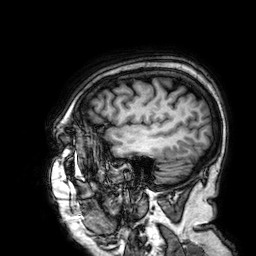
Case summary:
3 Tesla brain MRI. Series: 3D T1-weighted. Study: ring-enhancing brain masses.